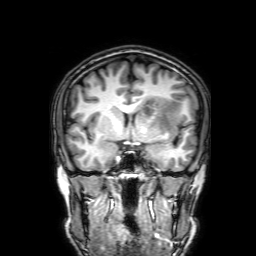
Q: What kind of scan is this?
A: 3 Tesla brain MRI.
Q: Series?
A: 3D T1-weighted with SENSE.
Study: ring-enhancing brain masses.